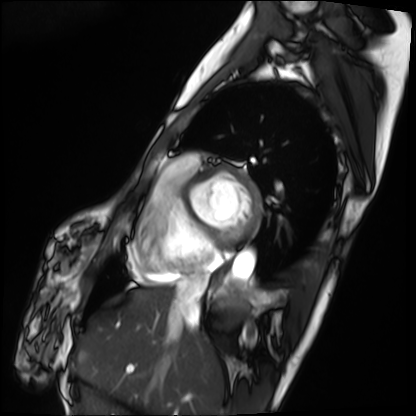
{
  "modality": "cardiac MRI",
  "cohort": "patient"
}